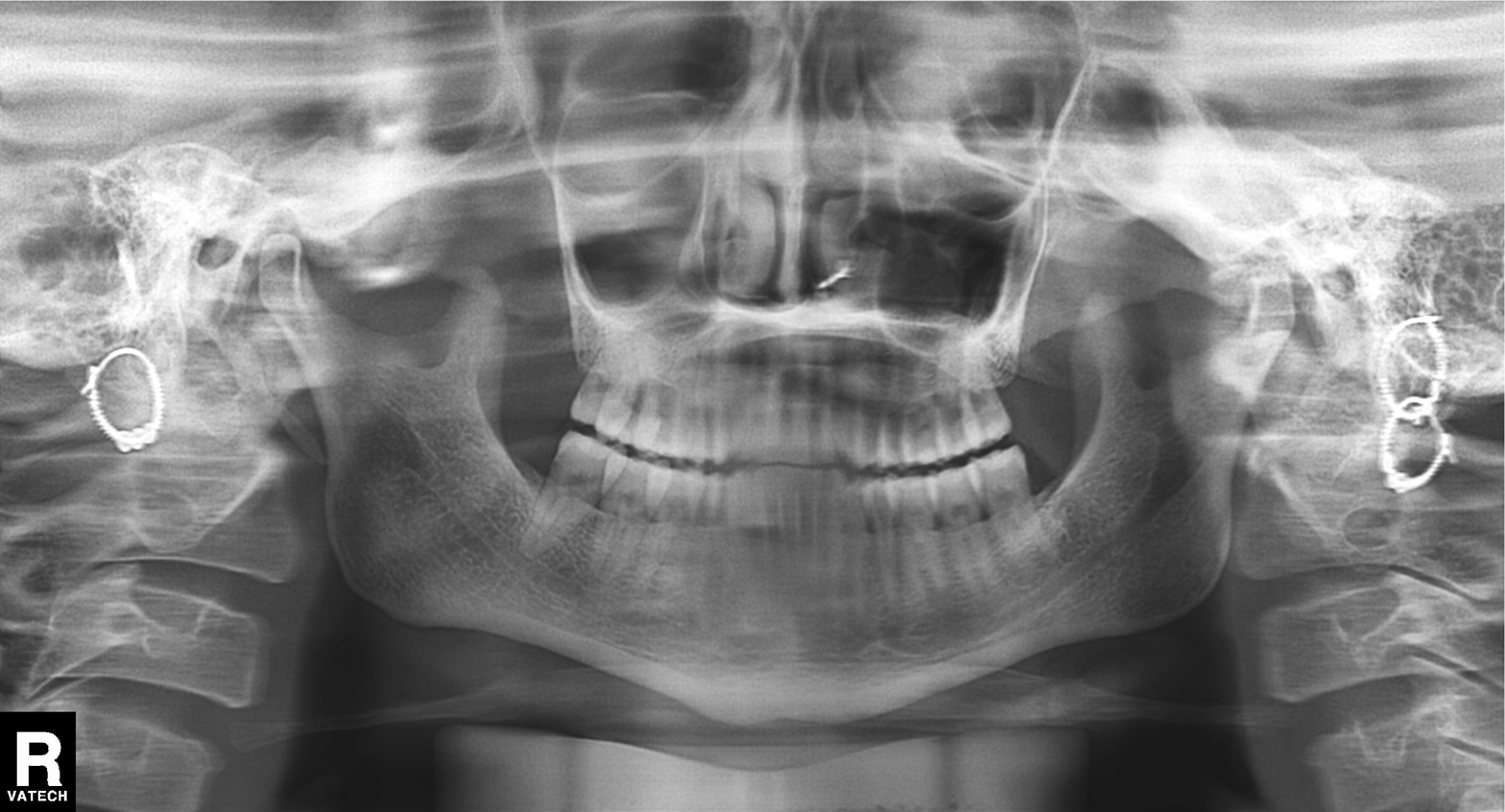
| field | value |
|---|---|
| modality | panoramic dental radiograph (orthopantomogram) |
| finding | dental caries (cavities) |